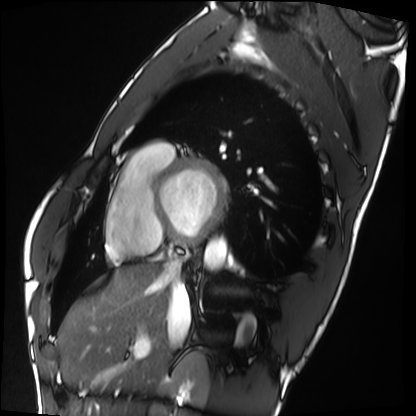
Cardiac MRI.
Subject group: healthy volunteer.